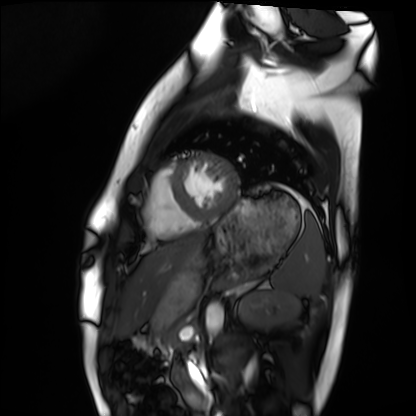
Q: What kind of scan is this?
A: Cardiac MRI.
Subject group: healthy volunteer.